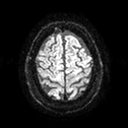
Case:
* modality — 3 Tesla brain MRI
* series — diffusion tensor imaging (medium iso)
* study — ring-enhancing brain masses